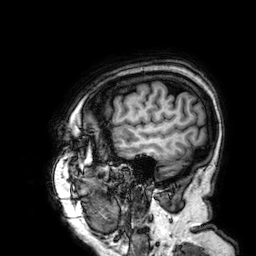
– modality — 3 Tesla brain MRI
– series — 3D T1-weighted
– study — ring-enhancing brain masses